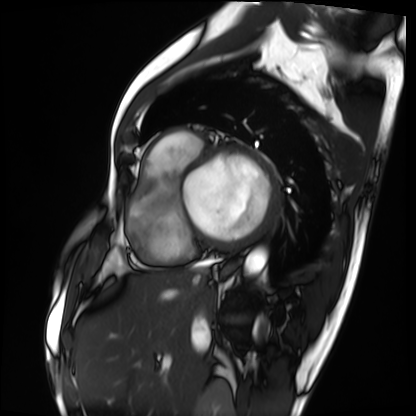
Cardiac MRI.
Subject group: patient.